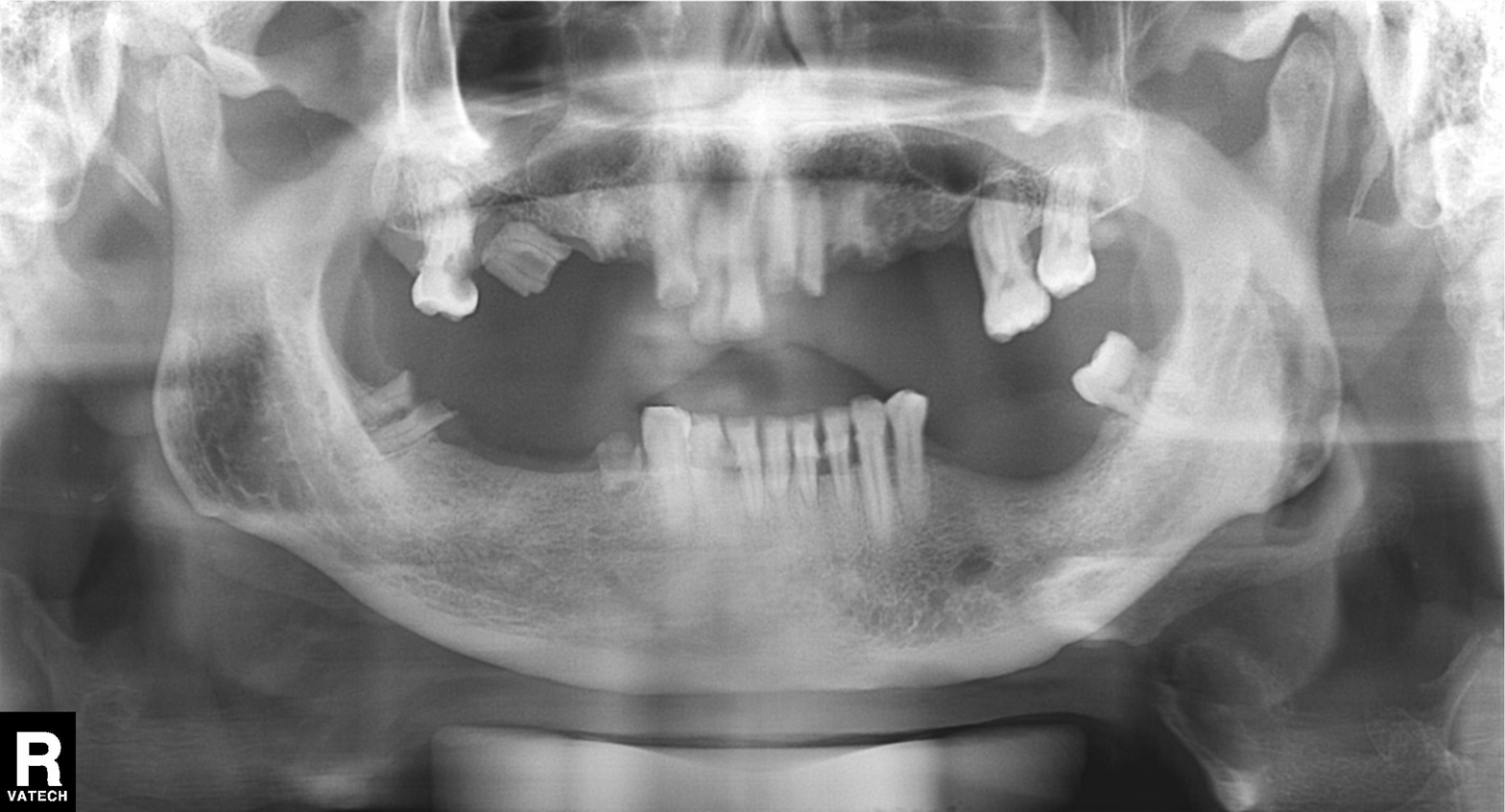
  modality: panoramic dental radiograph (orthopantomogram)
  finding: alveolar bone loss